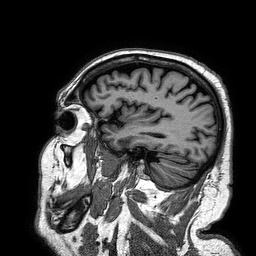
modality=3 Tesla brain MRI; series=3D T1-weighted turbo field echo; study=ring-enhancing brain masses.